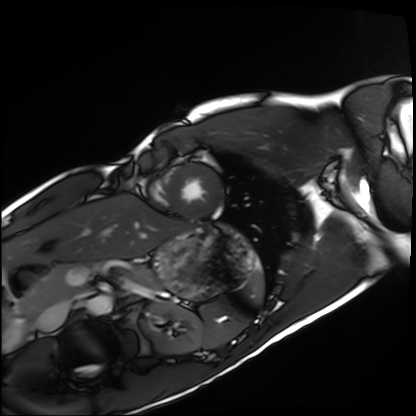
<case>
<modality>cardiac MRI</modality>
<cohort>healthy volunteer</cohort>
</case>